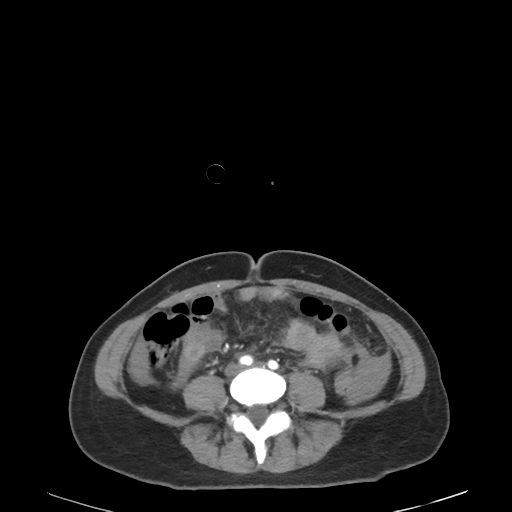
Clinical context:
Multiphase abdominal CT, liver, arterial phase. Patient: female, age 45. History: cirrhosis, prior chemotherapy.